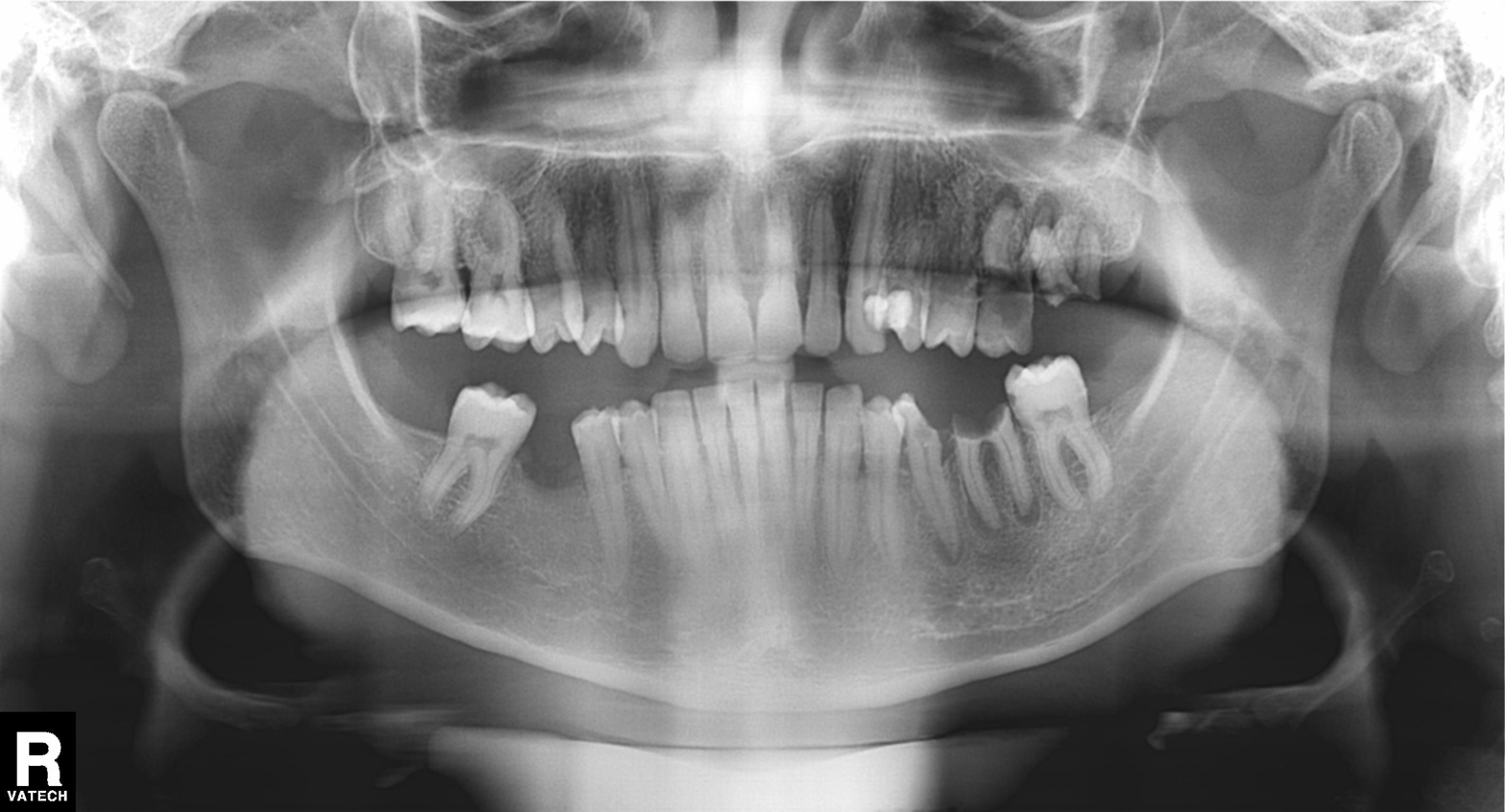
Case:
• modality — panoramic dental radiograph (orthopantomogram)
• finding — alveolar bone loss